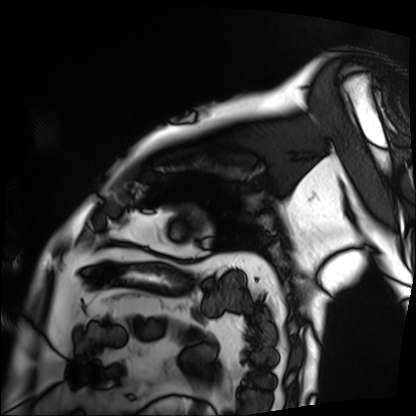
modality = cardiac MRI | subject group = patient.